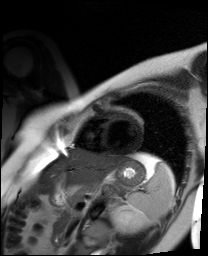
Cardiac MR image of the myocardium. Subject cohort: healthy volunteer.